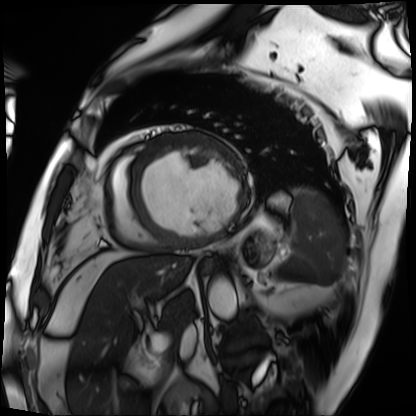
Cardiac MRI. Subject group: patient.